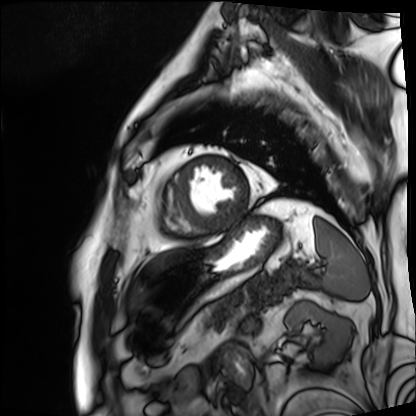
| field | value |
|---|---|
| modality | cardiac MRI |
| subject group | patient |